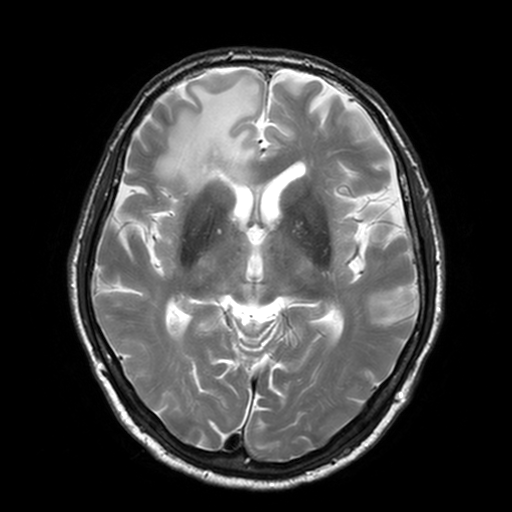
3 Tesla brain MRI. Series: T2-weighted turbo spin echo, 3 mm. Study: ring-enhancing brain masses.